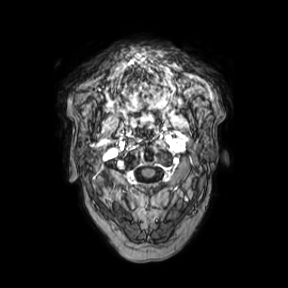
Case summary:
3 Tesla brain MRI. Series: axial. Study: ring-enhancing brain masses.